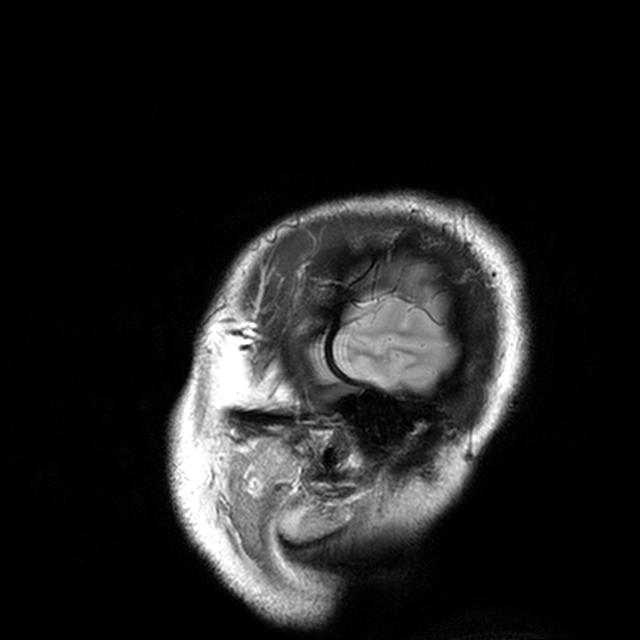
Clinical context:
3 Tesla brain MRI. Series: T2-weighted turbo spin echo with CLEAR. Study: ring-enhancing brain masses.